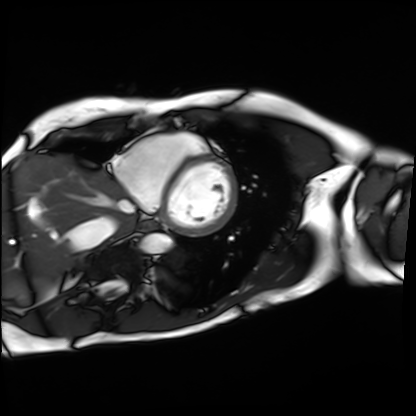
Summary:
Cardiac MRI. Subject group: patient.